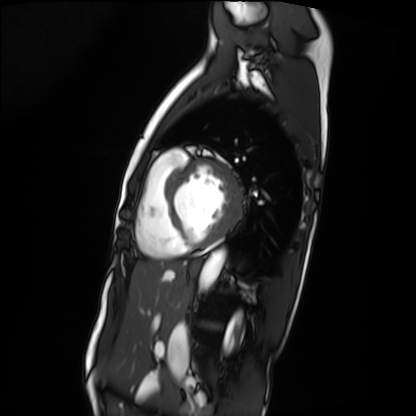
Cardiac MRI.
Subject group: patient.